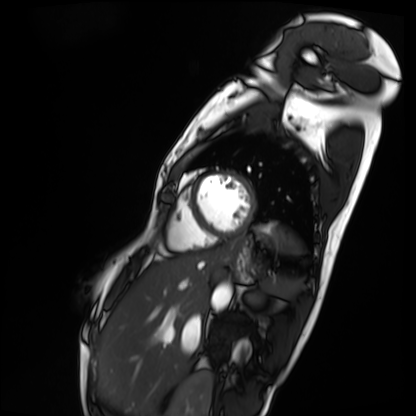
modality = cardiac MRI, subject group = patient.